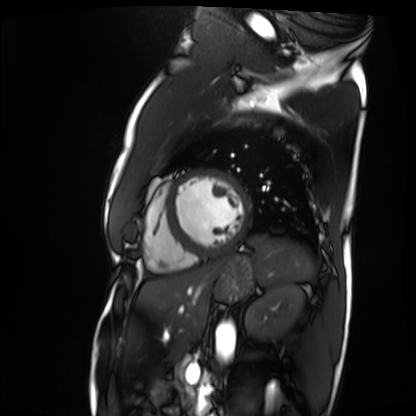
Q: What kind of scan is this?
A: Cardiac MRI.
Subject group: patient.